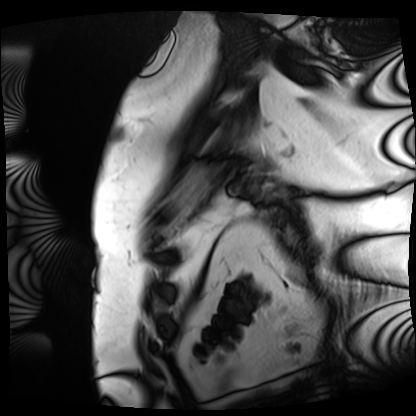
modality — cardiac MRI | subject group — patient.